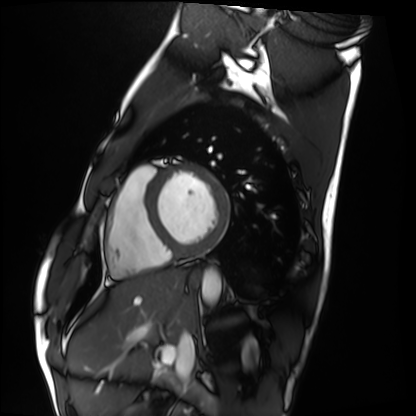
– modality · cardiac MRI
– subject group · healthy volunteer